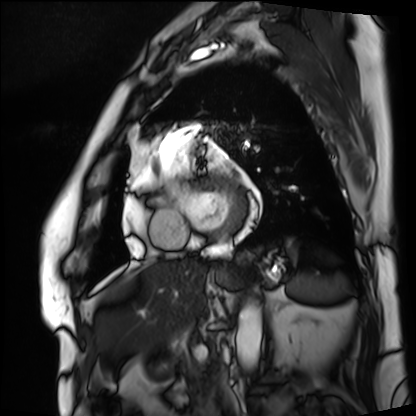
Cardiac MRI.
Subject group: patient.